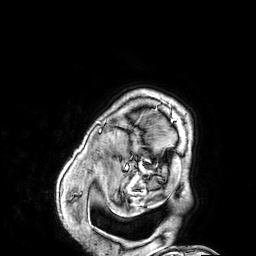
3 Tesla brain MRI.
Series: 3D T1-weighted.
Study: ring-enhancing brain masses.